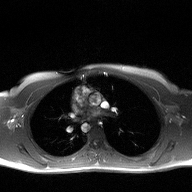
  modality:
    type: 2D phase-contrast cine MRI
    region: ascending aorta
    reconstruction: high-resolution GRAPPA acquisition